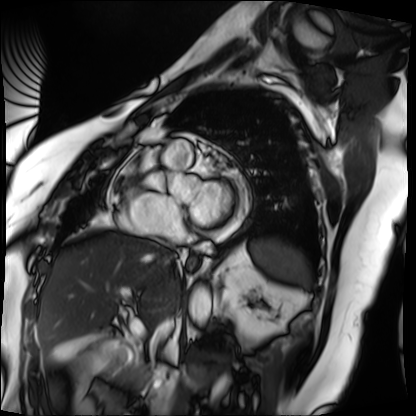
modality: cardiac MRI; subject group: patient.